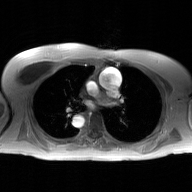
2D phase-contrast cine MRI of the ascending aorta, GAN super-resolution reconstruction.